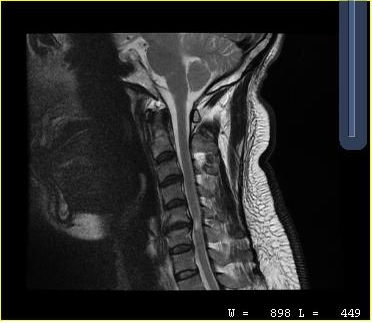
MRI of the cervical spine. Study: cervical spondylosis.